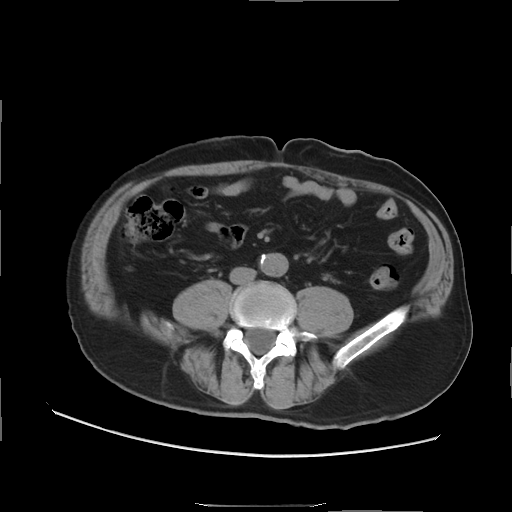
Q: What kind of scan is this?
A: Multiphase abdominal CT, liver, non-contrast phase.
Q: Patient?
A: Male, age 61.
Q: History?
A: Viral hepatitis.